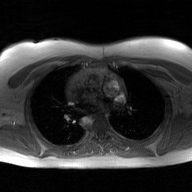
2D phase-contrast cine MRI of the ascending aorta, GAN super-resolution reconstruction.